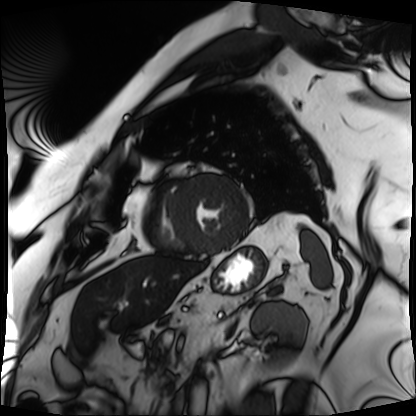
Q: What kind of scan is this?
A: Cardiac MRI.
Subject group: patient.